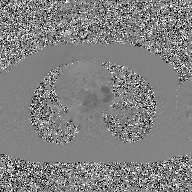
Case summary: 2D phase-contrast cine MRI of the ascending aorta, GAN super-resolution reconstruction.